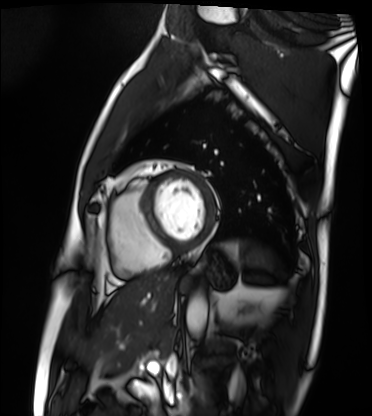
Cardiac MRI. Subject group: patient.